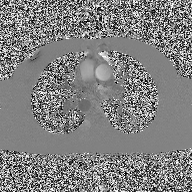
2D phase-contrast cine MRI of the ascending aorta, high-resolution GRAPPA acquisition.